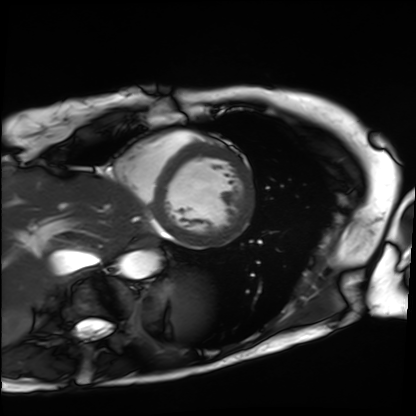
modality: cardiac MRI
cohort: patient